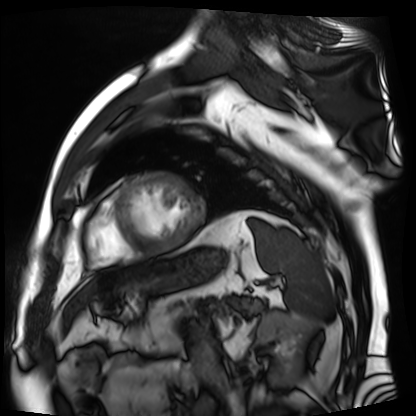
Cardiac MR image of the myocardium.
Subject cohort: cardiac patient.